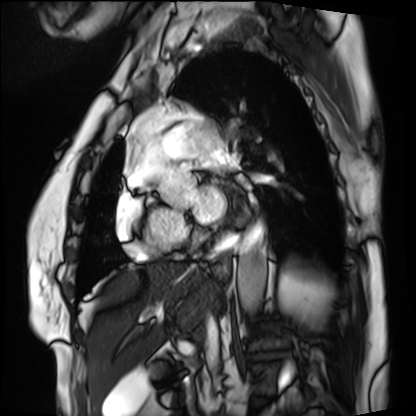
Clinical context:
Cardiac MRI. Subject group: patient.